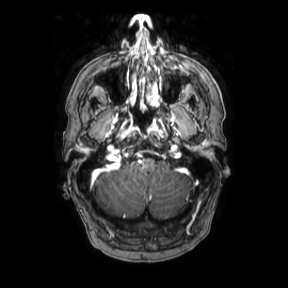
Summary:
3 Tesla brain MRI. Series: axial. Study: ring-enhancing brain masses.